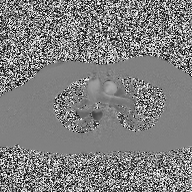
2D phase-contrast cine MRI of the ascending aorta, high-resolution GRAPPA acquisition.